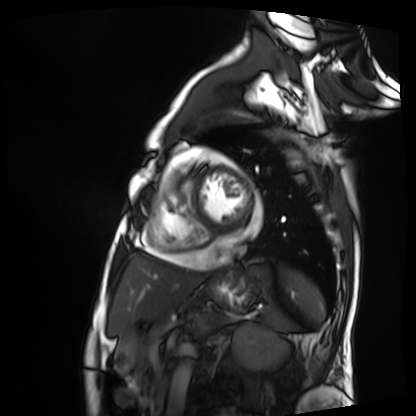
| field | value |
|---|---|
| modality | cardiac MRI |
| subject group | patient |